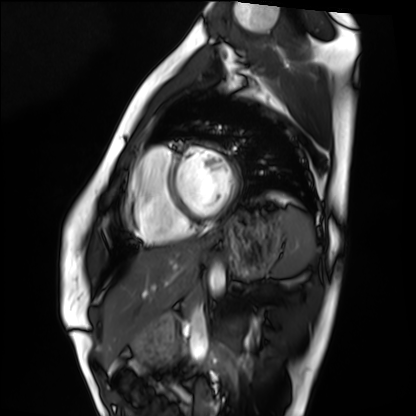
| field | value |
|---|---|
| modality | cardiac MRI |
| subject group | healthy volunteer |